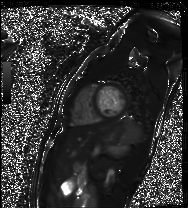
Cardiac MR image of the myocardium.
Subject cohort: healthy volunteer.